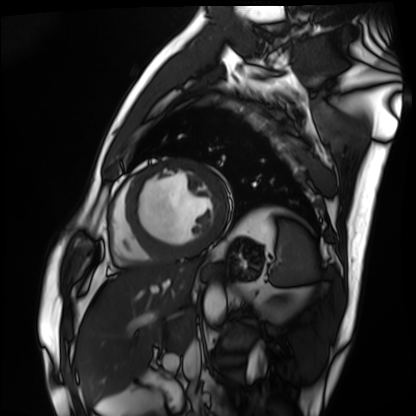
modality: cardiac MRI | subject group: patient.